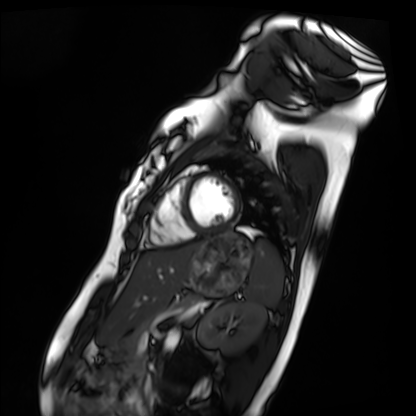
modality: cardiac MRI | subject group: healthy volunteer.